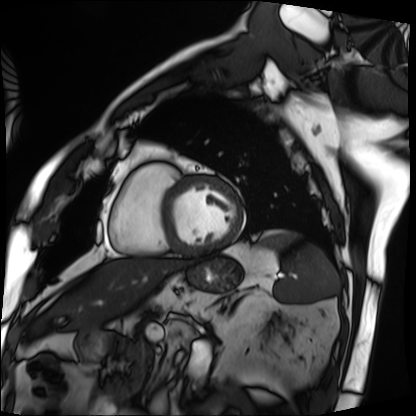
– modality · cardiac MRI
– subject group · patient